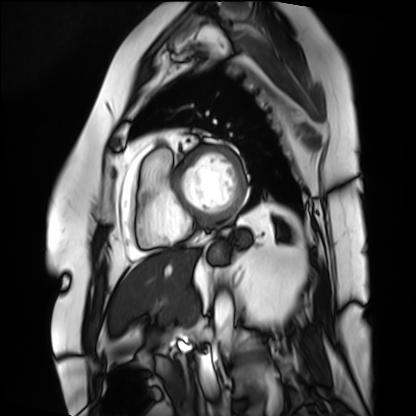
Cardiac MRI. Subject group: patient.